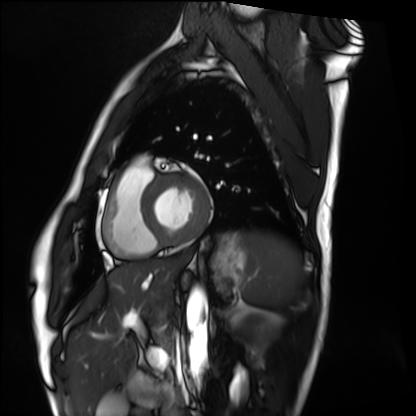
modality: cardiac MRI; subject group: healthy volunteer.